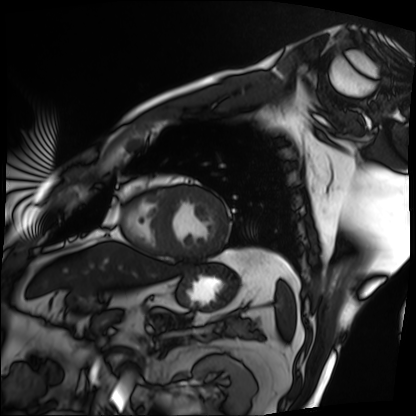
– modality: cardiac MRI
– subject group: patient